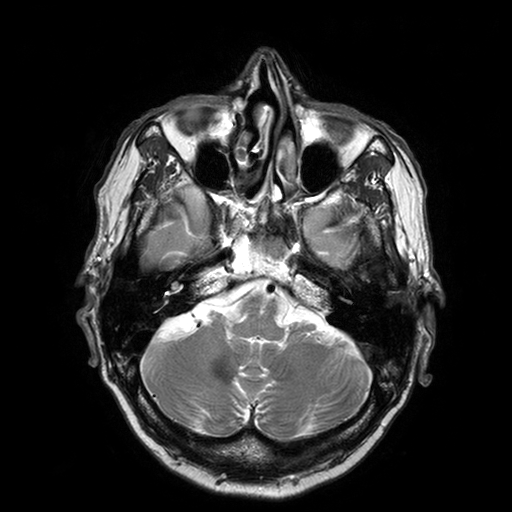
3 Tesla brain MRI. Series: T2-weighted turbo spin echo with SENSE. Study: ring-enhancing brain masses.